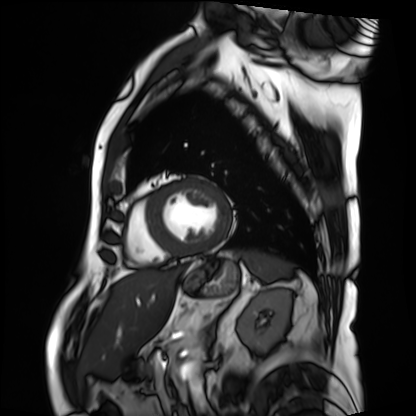
Cardiac MRI. Subject group: patient.